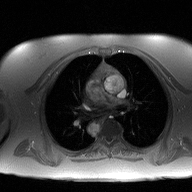
modality — 2D phase-contrast cine MRI of the ascending aorta.